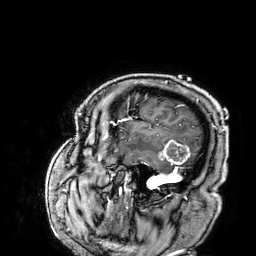
  modality:
    type: brain MRI
    field_strength: 3T
  series: 3D T1-weighted
  study_topic: ring-enhancing brain masses